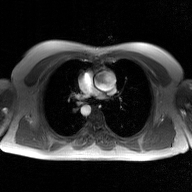
Q: What kind of scan is this?
A: 2D phase-contrast cine MRI of the ascending aorta, GAN super-resolution reconstruction.